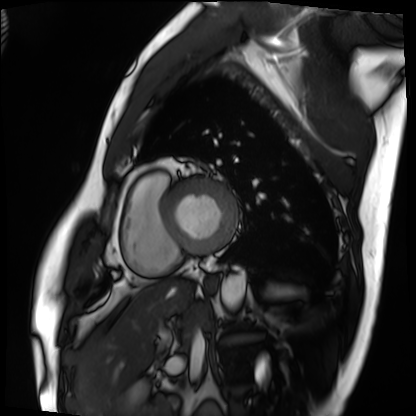
Cardiac MRI.
Subject group: patient.